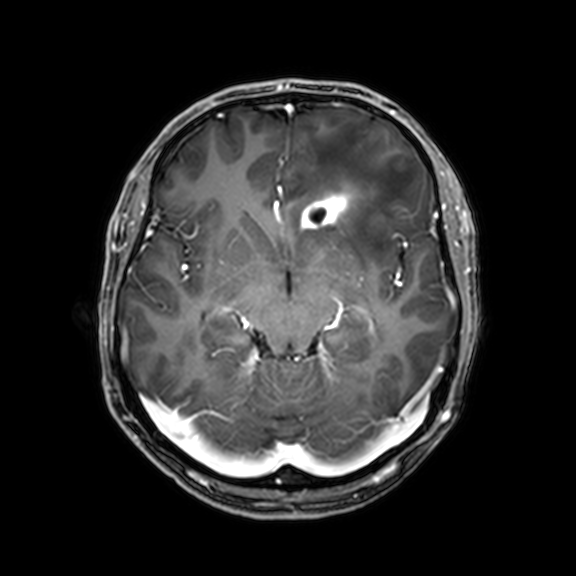
Clinical context:
3 Tesla brain MRI. Series: 3D T1-weighted with CLEAR. Study: ring-enhancing brain masses.